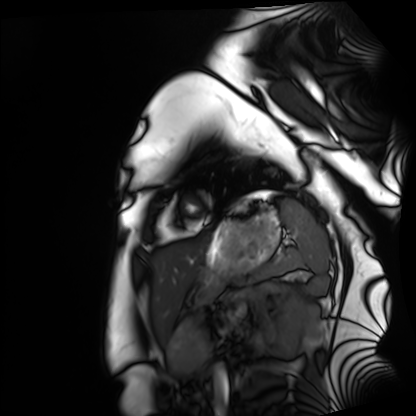
| field | value |
|---|---|
| modality | cardiac MRI |
| subject group | healthy volunteer |